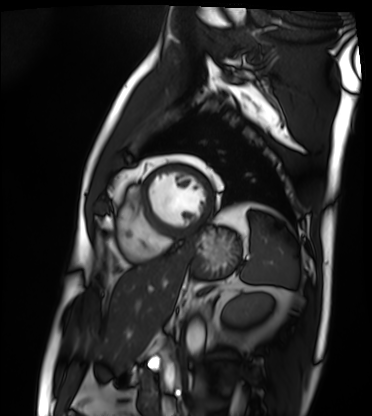
{"modality": "cardiac MRI", "cohort": "patient"}